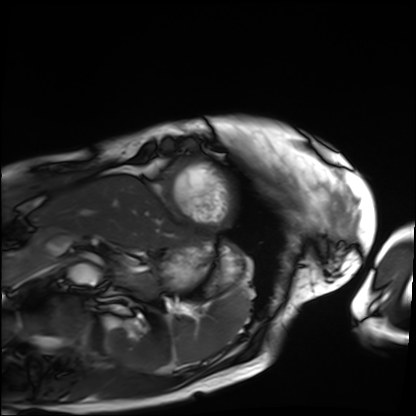
Case summary:
Cardiac MRI. Subject group: patient.